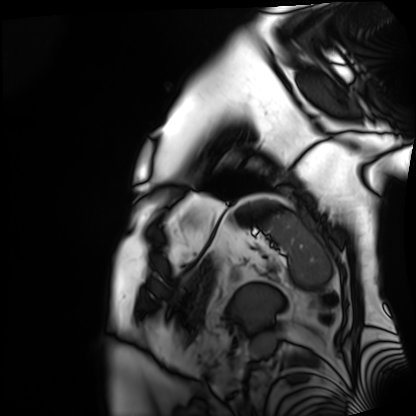
Clinical context: Cardiac MRI. Subject group: patient.